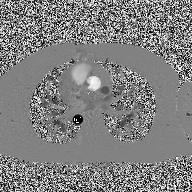
– modality: 2D phase-contrast cine MRI of the ascending aorta